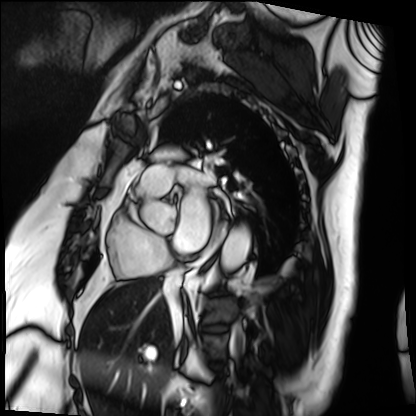
Cardiac MRI.
Subject group: patient.